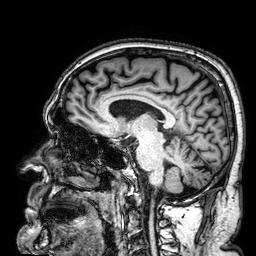
Q: What kind of scan is this?
A: 3 Tesla brain MRI.
Q: Series?
A: 3D T1-weighted.
Study: ring-enhancing brain masses.